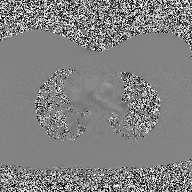
2D phase-contrast cine MRI of the ascending aorta, high-resolution GRAPPA acquisition.